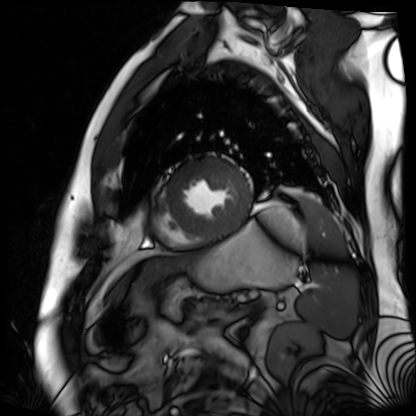
modality = cardiac MR image of the myocardium
subject cohort = cardiac patient